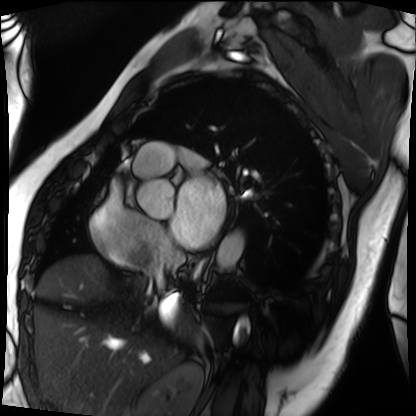
Cardiac MRI.
Subject group: patient.